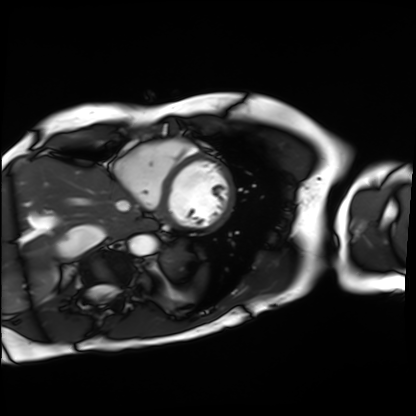
| field | value |
|---|---|
| modality | cardiac MRI |
| subject group | patient |